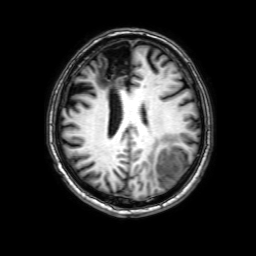
modality: 3 Tesla brain MRI | series: 3D T1-weighted with SENSE | study: ring-enhancing brain masses.